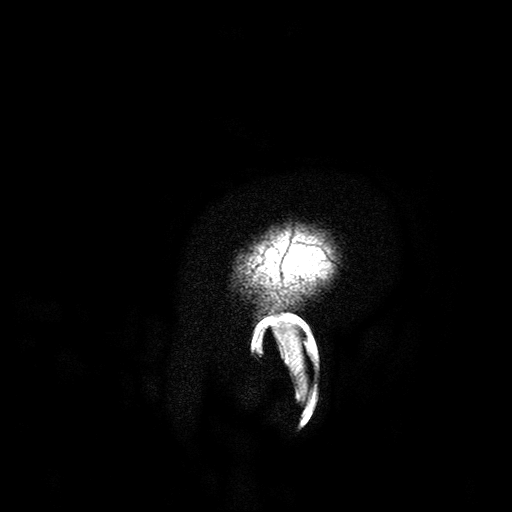
3 Tesla brain MRI. Study: ring-enhancing brain masses.